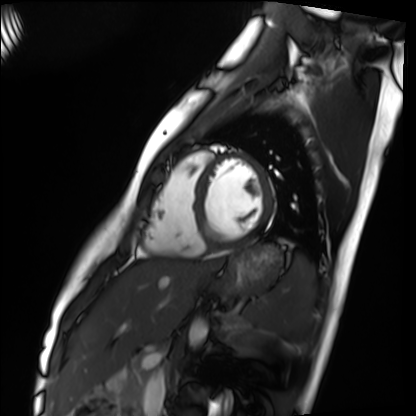
Case summary:
Cardiac MRI. Subject group: healthy volunteer.